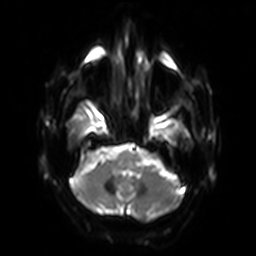
Case:
* modality · 3 Tesla brain MRI
* series · diffusion-weighted imaging with SENSE (WIP)
* study · ring-enhancing brain masses